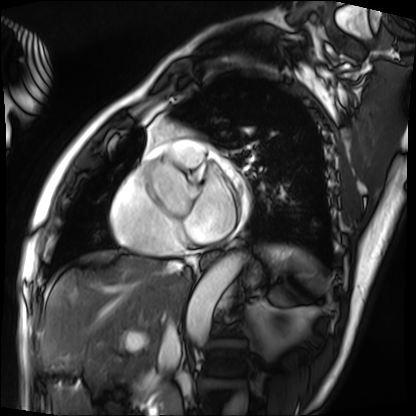
  modality: cardiac MRI
  cohort: patient